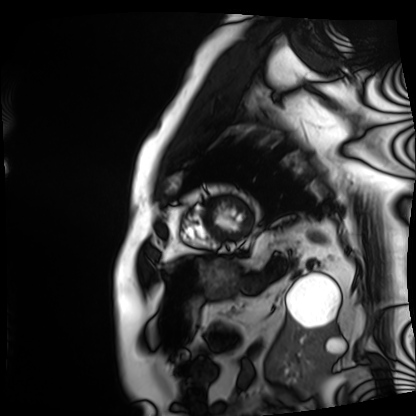
Cardiac MRI. Subject group: patient.